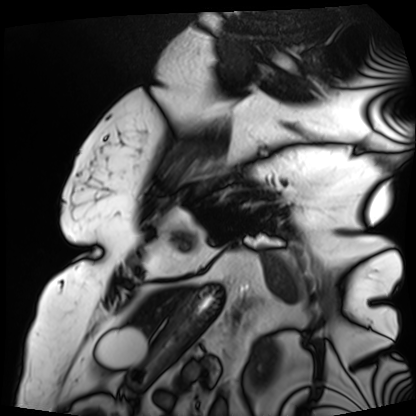
Cardiac MRI. Subject group: patient.